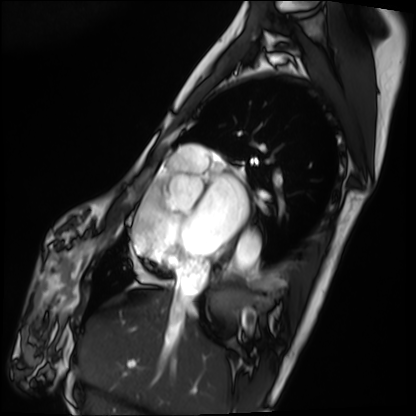
Cardiac MRI.
Subject group: patient.